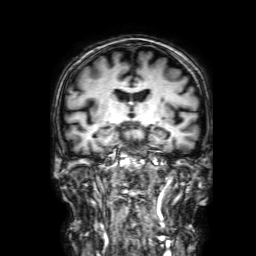
Clinical context:
3 Tesla brain MRI. Series: 3D T1-weighted with SENSE. Study: ring-enhancing brain masses.